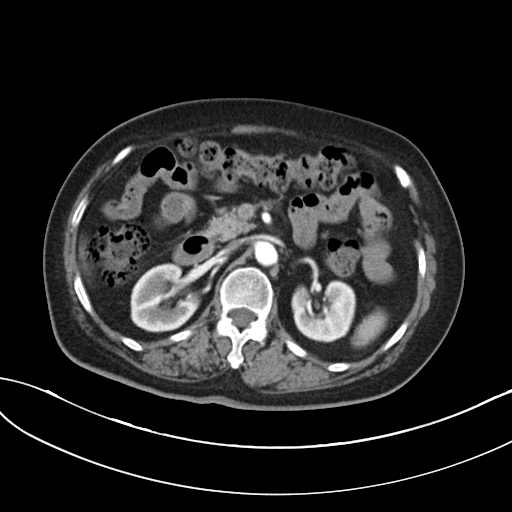
{
  "modality": {
    "type": "multiphase abdominal CT",
    "region": "liver",
    "phase": "arterial"
  },
  "patient": {
    "sex": "female",
    "age": 73
  },
  "history": [
    "cirrhosis",
    "viral hepatitis",
    "prior chemotherapy"
  ]
}